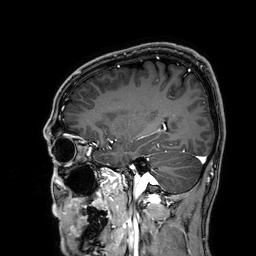
  modality:
    type: brain MRI
    field_strength: 3T
  series: 3D T1-weighted
  study_topic: ring-enhancing brain masses